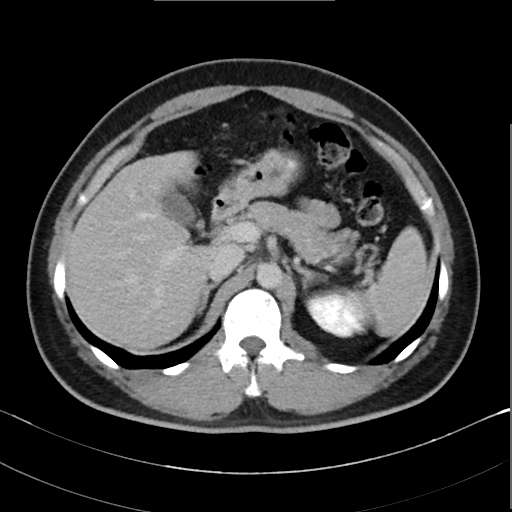
Multiphase abdominal CT, liver, delayed phase. Patient: male, age 39.